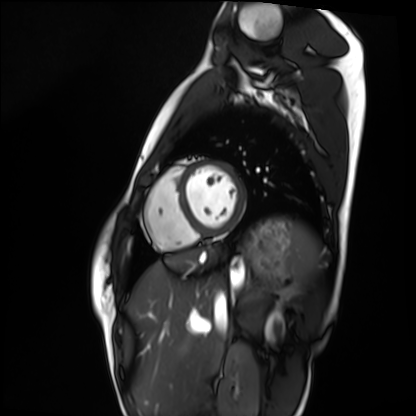
<scan>
  <modality>cardiac MRI</modality>
  <cohort>healthy volunteer</cohort>
</scan>